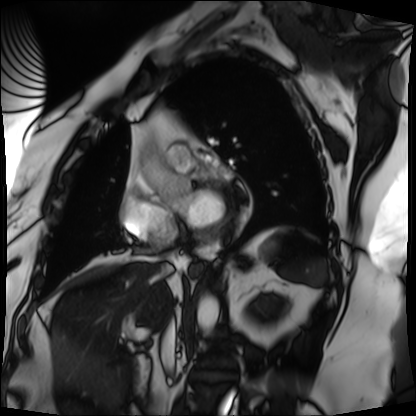
modality=cardiac MRI; subject group=patient.